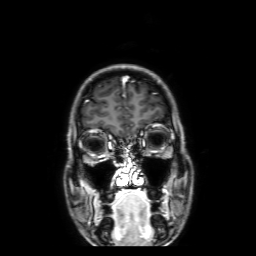
Summary:
3 Tesla brain MRI. Series: 3D T1-weighted with SENSE. Study: ring-enhancing brain masses.